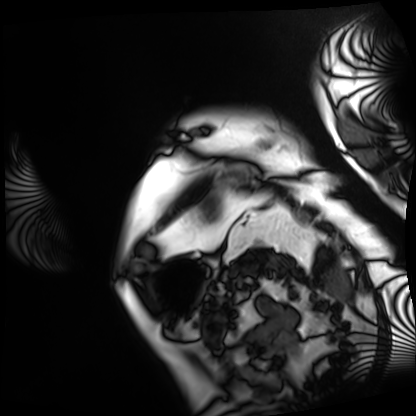
  modality: cardiac MRI
  cohort: patient